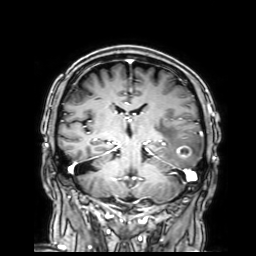
{"modality": {"type": "brain MRI", "field_strength": "3T"}, "series": "3D T1-weighted with SENSE", "study_topic": "ring-enhancing brain masses"}